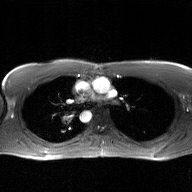
* modality · 2D phase-contrast cine MRI of the ascending aorta, GAN super-resolution reconstruction